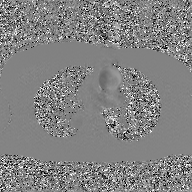
modality = 2D phase-contrast cine MRI of the ascending aorta, GAN super-resolution reconstruction.